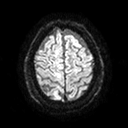
{
  "modality": {
    "type": "brain MRI",
    "field_strength": "3T"
  },
  "series": "diffusion tensor imaging (medium iso)",
  "study_topic": "ring-enhancing brain masses"
}